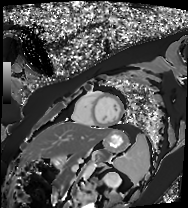
{
  "modality": "cardiac MR image of the myocardium",
  "cohort": "healthy volunteer"
}